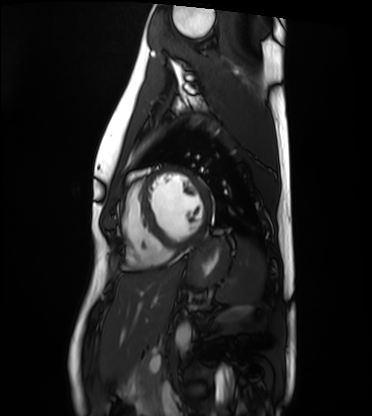
Cardiac MRI. Subject group: healthy volunteer.